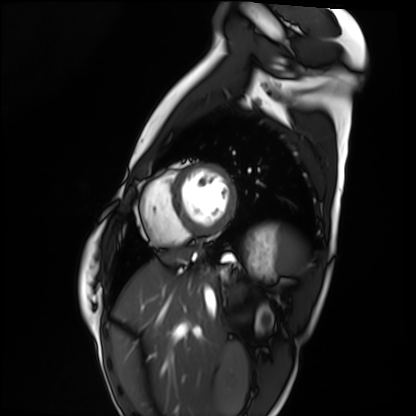
{
  "modality": "cardiac MRI",
  "cohort": "healthy volunteer"
}